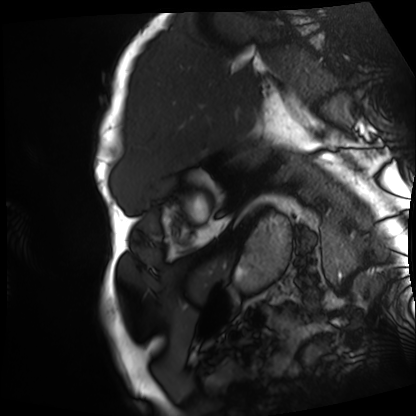
modality: cardiac MRI; subject group: patient.